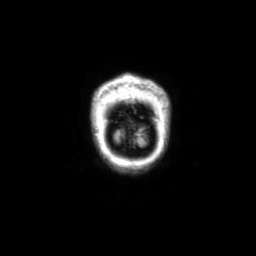
3 Tesla brain MRI. Series: coronal with contrast. Study: ring-enhancing brain masses.